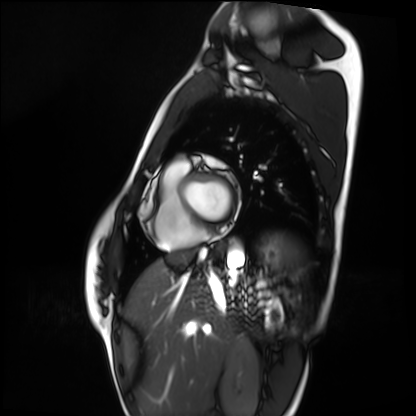
Cardiac MRI. Subject group: healthy volunteer.